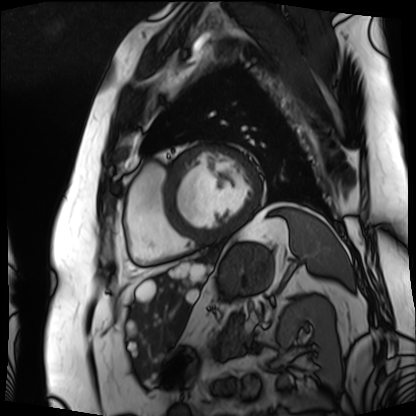
{"modality": "cardiac MRI", "cohort": "patient"}